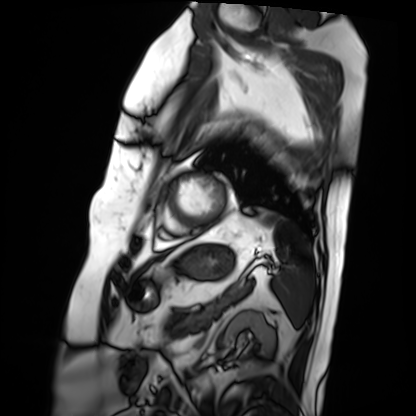
* modality: cardiac MRI
* subject group: patient